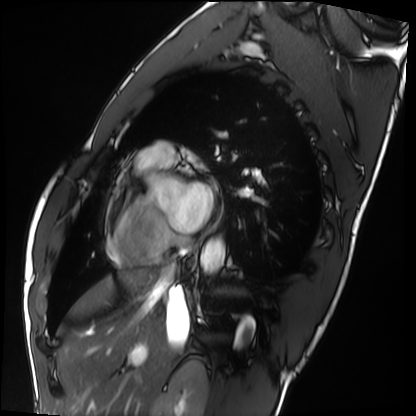
Summary:
Cardiac MRI. Subject group: healthy volunteer.